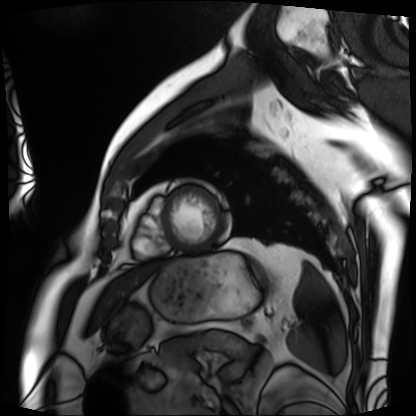
Cardiac MRI.
Subject group: patient.